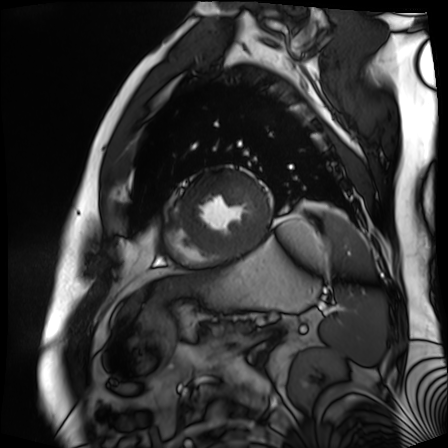
Q: What kind of scan is this?
A: Cardiac MR image of the myocardium.
Subject cohort: cardiac patient.